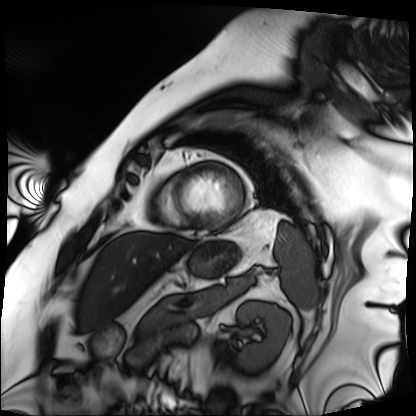
Q: What kind of scan is this?
A: Cardiac MRI.
Subject group: patient.